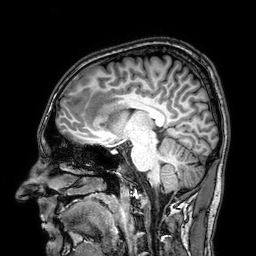
Case summary:
3 Tesla brain MRI. Series: 3D T1-weighted. Study: ring-enhancing brain masses.